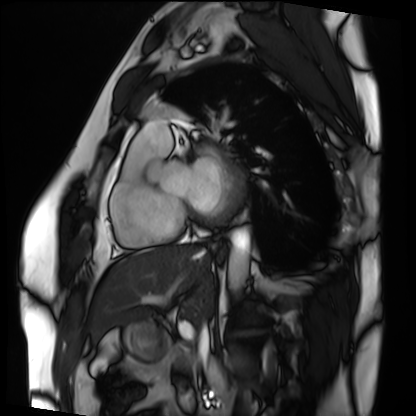
Cardiac MRI. Subject group: patient.